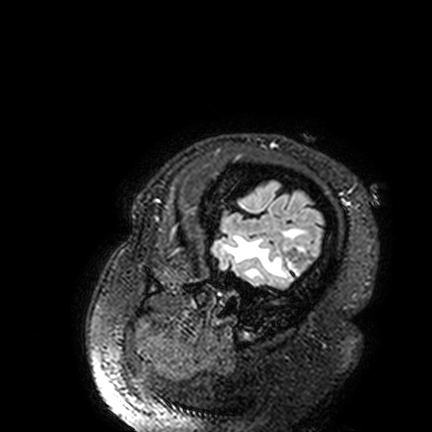
  modality:
    type: brain MRI
    field_strength: 3T
  series: FLAIR VISTA
  study_topic: ring-enhancing brain masses